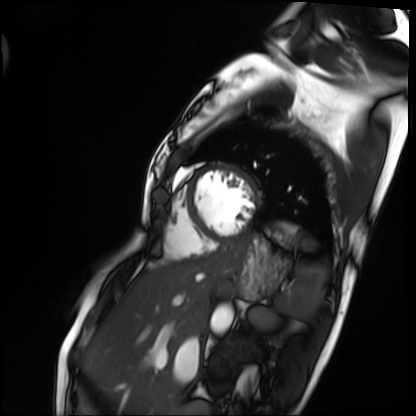
modality: cardiac MRI, subject group: patient.